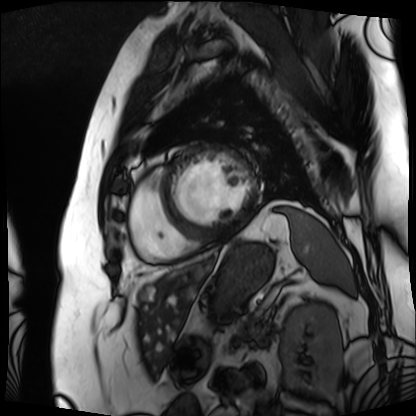
Summary:
Cardiac MRI. Subject group: patient.